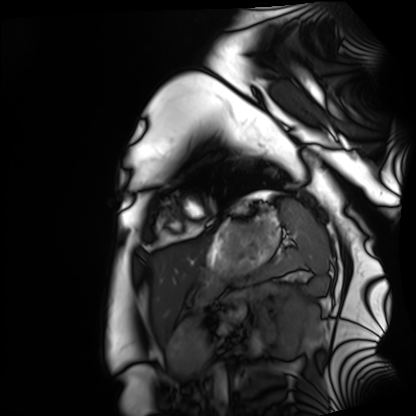
Cardiac MRI.
Subject group: healthy volunteer.